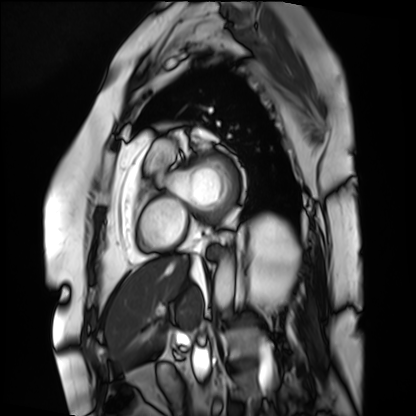
Cardiac MRI. Subject group: patient.